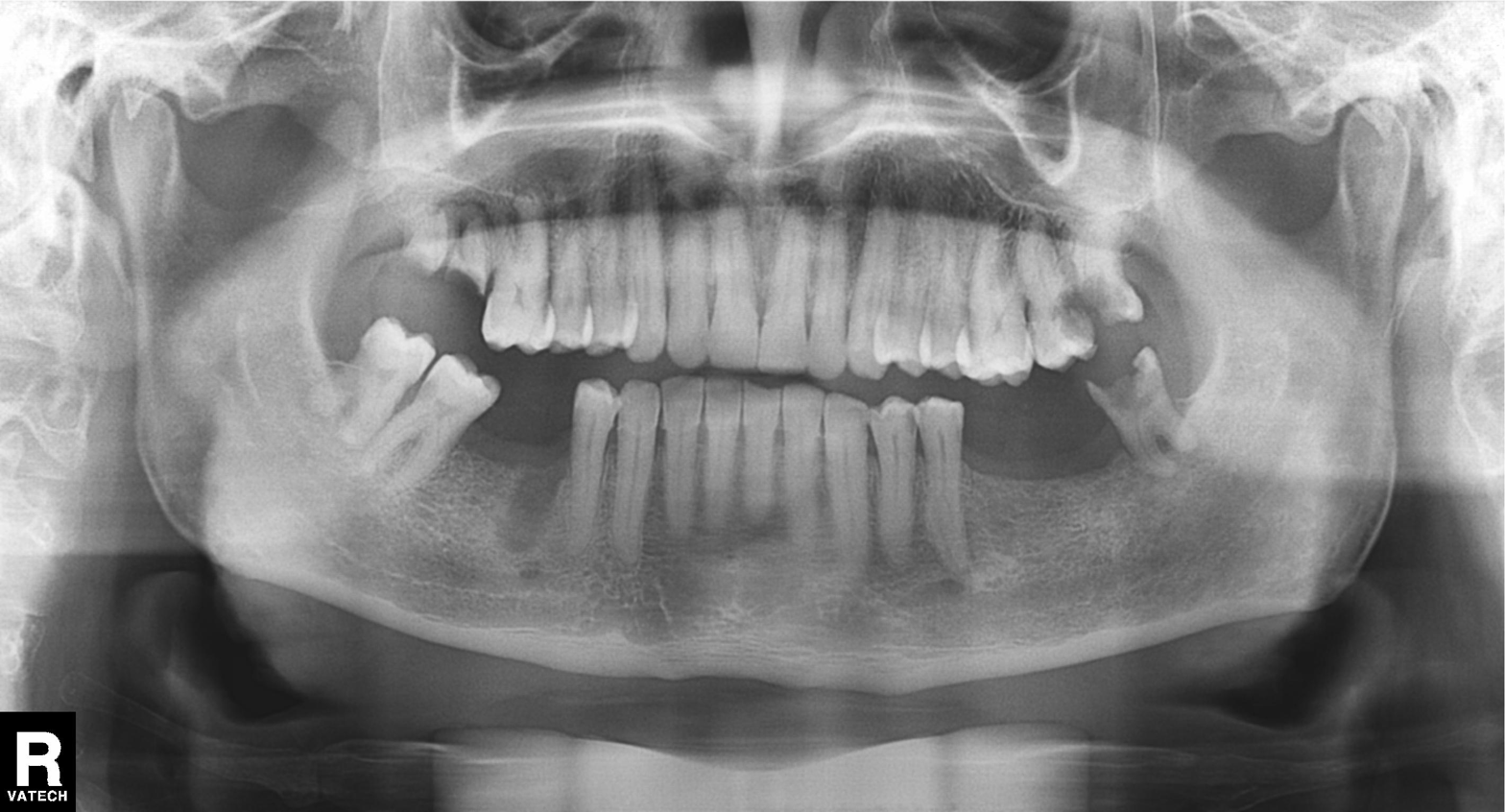
| field | value |
|---|---|
| modality | panoramic dental radiograph (orthopantomogram) |
| finding | alveolar bone loss |